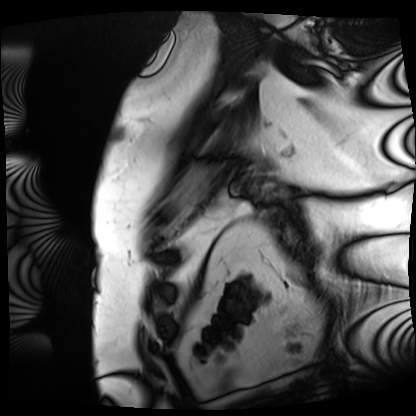
Clinical context: Cardiac MRI. Subject group: patient.